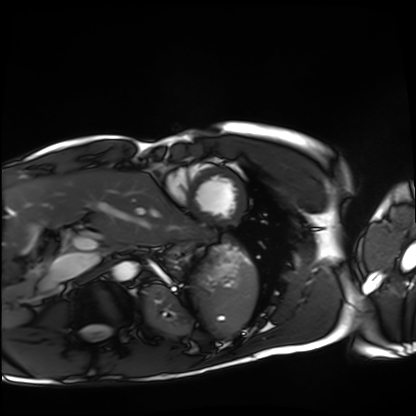
{"modality": "cardiac MRI", "cohort": "healthy volunteer"}